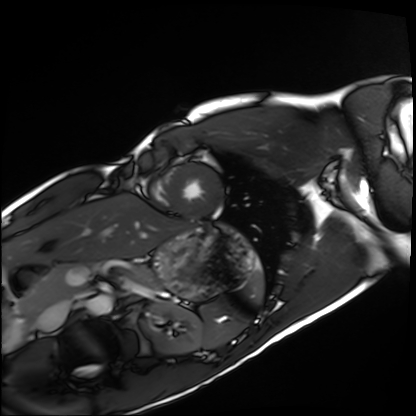
Q: What kind of scan is this?
A: Cardiac MRI.
Subject group: healthy volunteer.